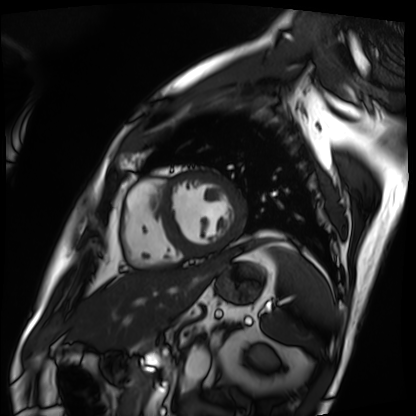
Cardiac MRI. Subject group: patient.